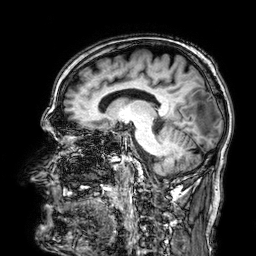
3 Tesla brain MRI. Study: ring-enhancing brain masses.